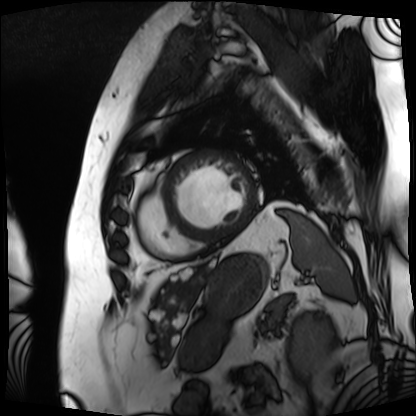
Q: What kind of scan is this?
A: Cardiac MRI.
Subject group: patient.